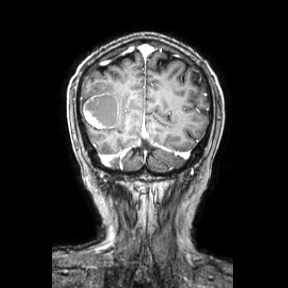
<study>
<modality>
  <type>brain MRI</type>
  <field_strength>3T</field_strength>
</modality>
<series>coronal</series>
<study_topic>ring-enhancing brain masses</study_topic>
</study>